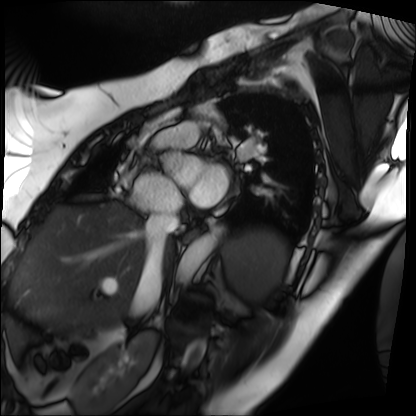
Cardiac MRI. Subject group: patient.